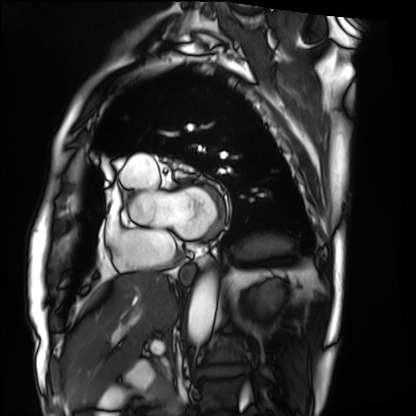
Q: What kind of scan is this?
A: Cardiac MRI.
Subject group: patient.